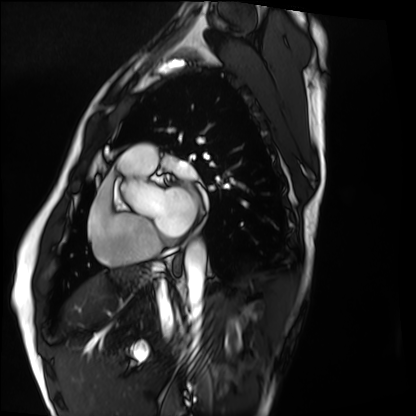
Summary: Cardiac MRI. Subject group: healthy volunteer.